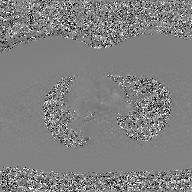
Q: What kind of scan is this?
A: 2D phase-contrast cine MRI of the ascending aorta, GAN super-resolution reconstruction.